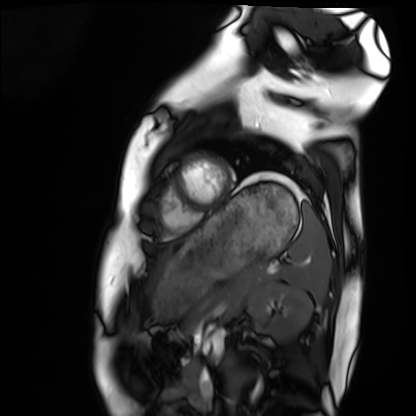
Summary:
Cardiac MRI. Subject group: healthy volunteer.